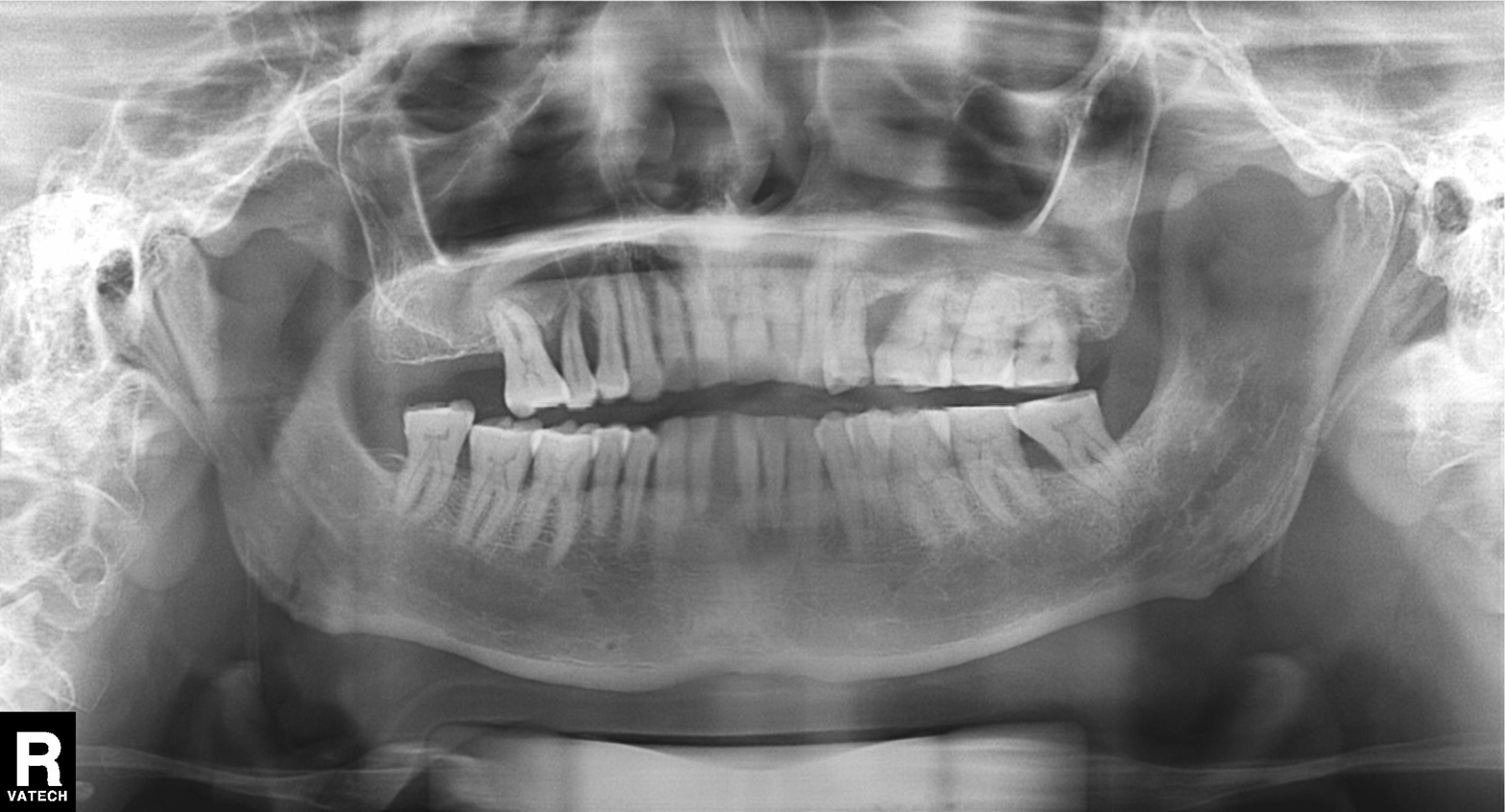
– modality — panoramic dental radiograph (orthopantomogram)
– finding — alveolar bone loss